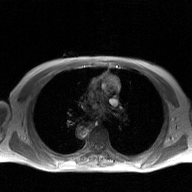
Clinical context:
2D phase-contrast cine MRI of the ascending aorta, GAN super-resolution reconstruction.